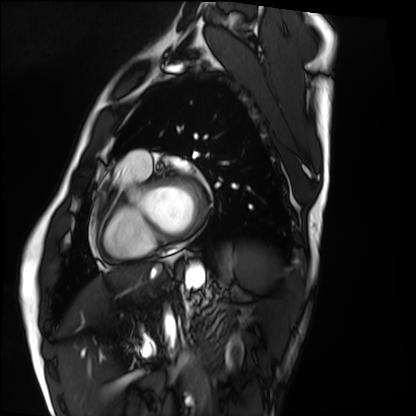
Summary:
Cardiac MRI. Subject group: healthy volunteer.